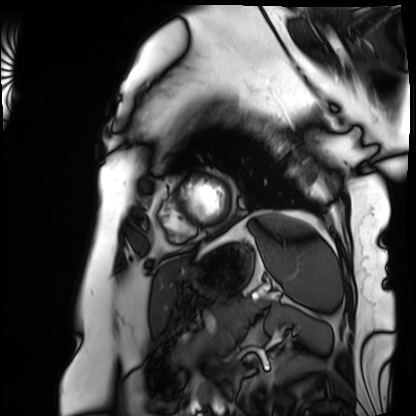
- modality · cardiac MRI
- subject group · patient